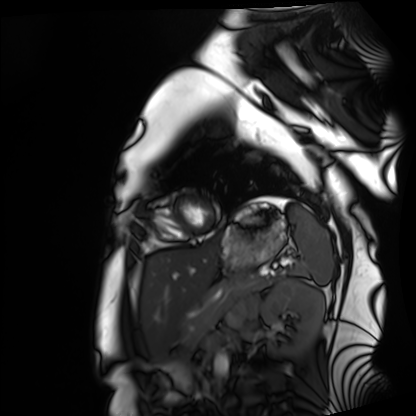
Cardiac MRI. Subject group: healthy volunteer.